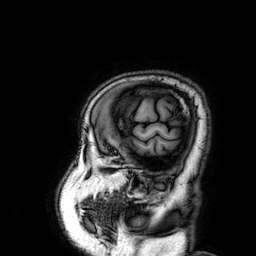
Clinical context:
3 Tesla brain MRI. Series: 3D T1-weighted. Study: ring-enhancing brain masses.